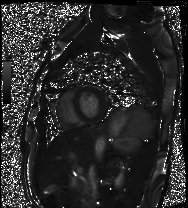
Cardiac MRI. Subject group: healthy volunteer.